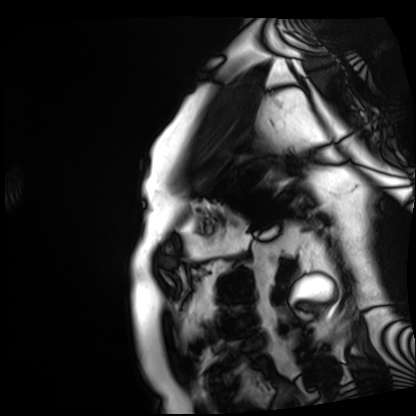
Cardiac MRI. Subject group: patient.